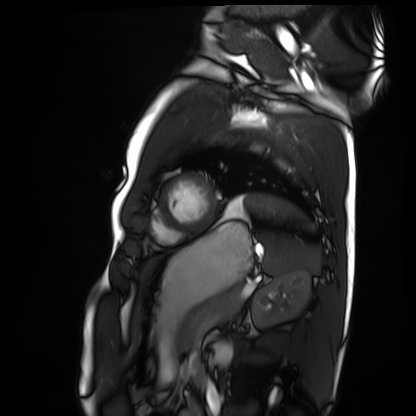
Q: What kind of scan is this?
A: Cardiac MRI.
Subject group: healthy volunteer.